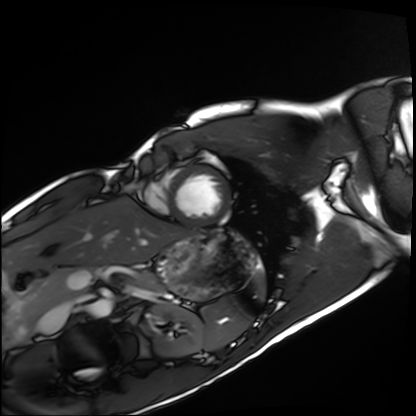
modality: cardiac MRI, subject group: healthy volunteer.